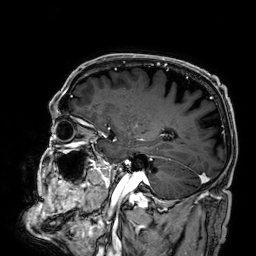
Q: What kind of scan is this?
A: 3 Tesla brain MRI.
Q: Series?
A: 3D T1-weighted.
Study: ring-enhancing brain masses.